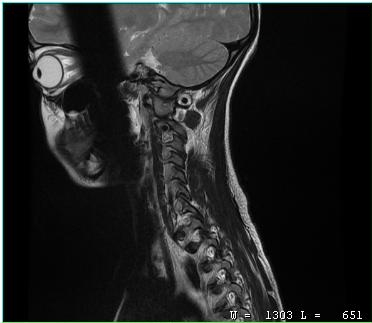
modality — MRI of the cervical spine; study — cervical spondylosis.